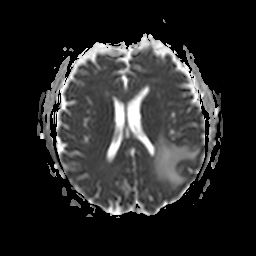
| field | value |
|---|---|
| modality | 3 Tesla brain MRI |
| series | apparent diffusion coefficient (ADC) map |
| study | ring-enhancing brain masses |